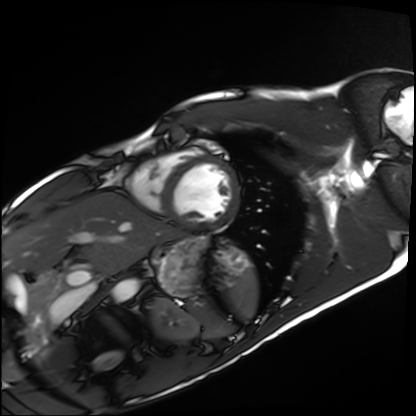
Cardiac MRI.
Subject group: healthy volunteer.